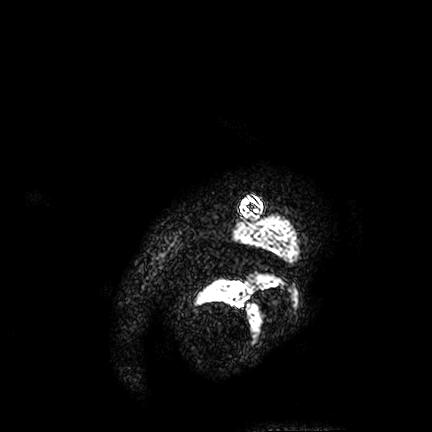
3 Tesla brain MRI. Series: FLAIR VISTA. Study: ring-enhancing brain masses.